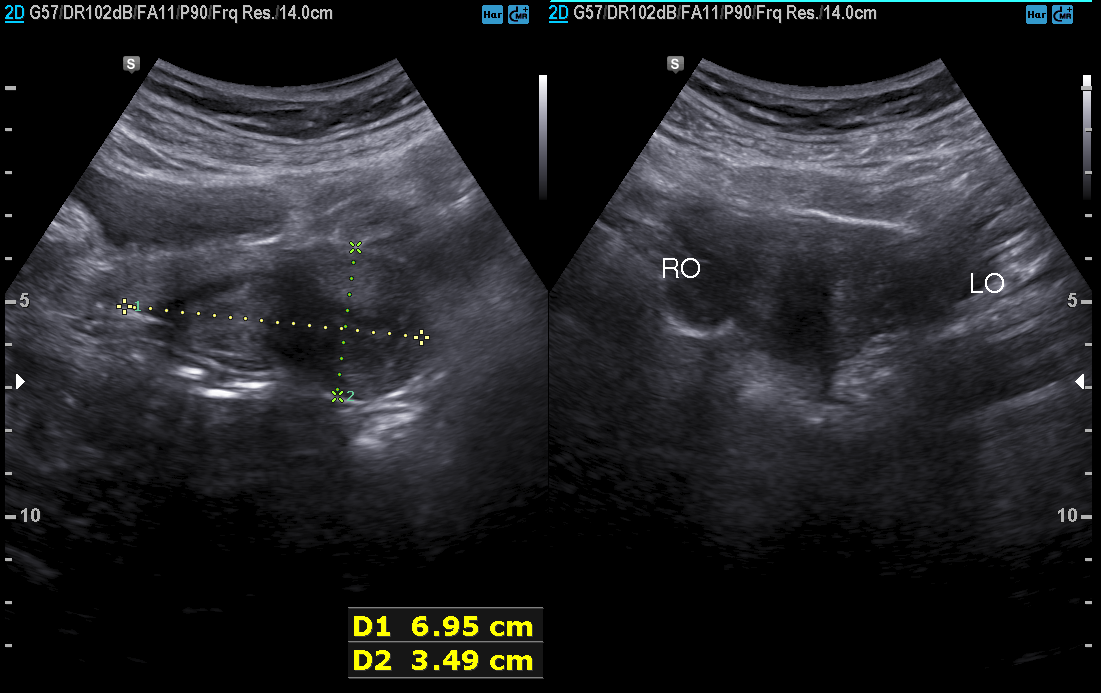
modality:
  type: genitourinary ultrasound